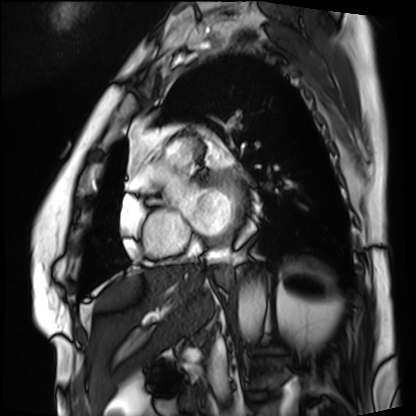
Summary: Cardiac MRI. Subject group: patient.